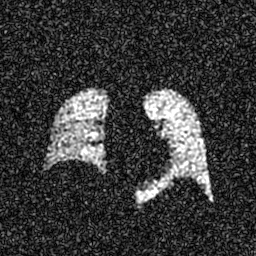
modality: hyperpolarized 129Xe ventilation MRI of the lungs
SNR level: 6 of 8 (the deposit holds this scan as its native image and as seven SNR-degraded versions)